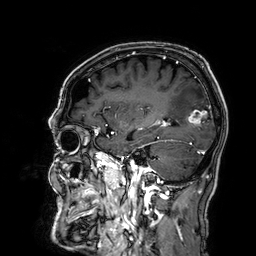
Case summary: 3 Tesla brain MRI. Series: 3D T1-weighted. Study: ring-enhancing brain masses.